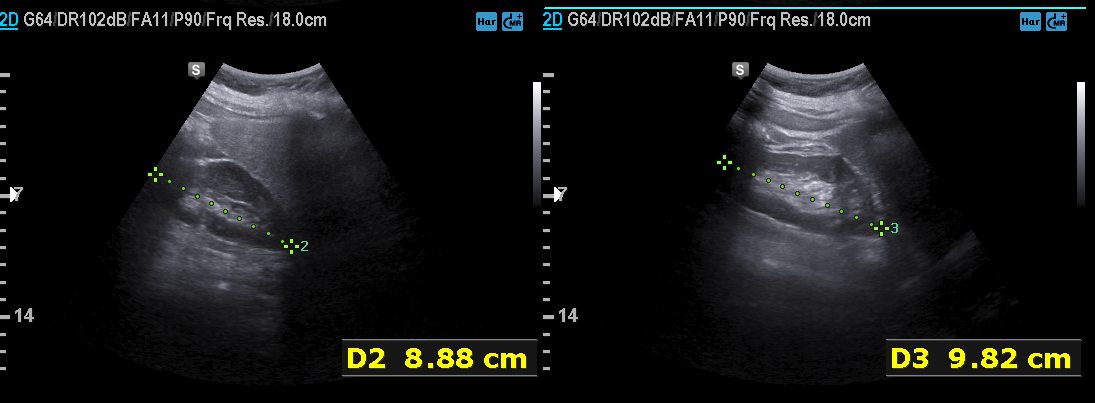
Genitourinary ultrasound.